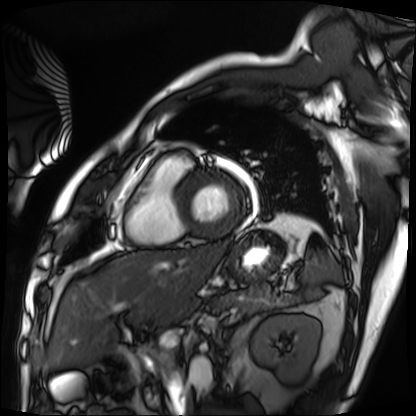
Summary:
Cardiac MRI. Subject group: patient.